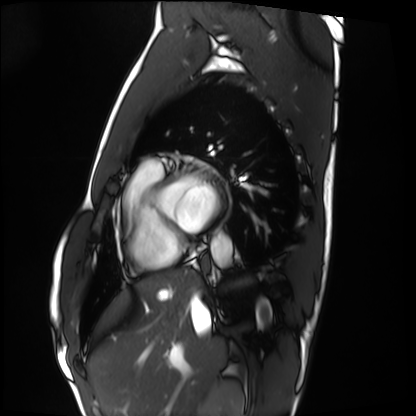
Q: What kind of scan is this?
A: Cardiac MRI.
Subject group: healthy volunteer.